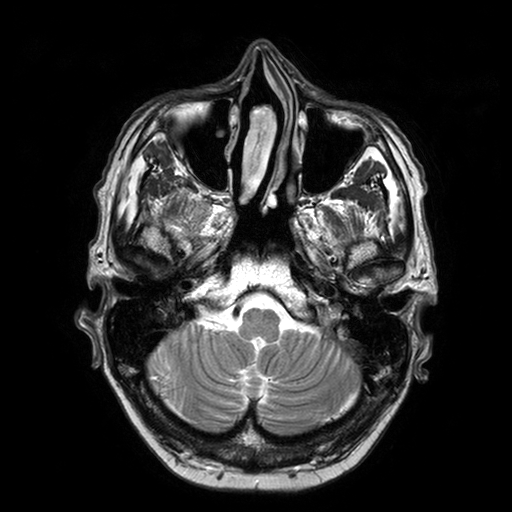
modality: 3 Tesla brain MRI
series: T2-weighted turbo spin echo with SENSE
study: ring-enhancing brain masses